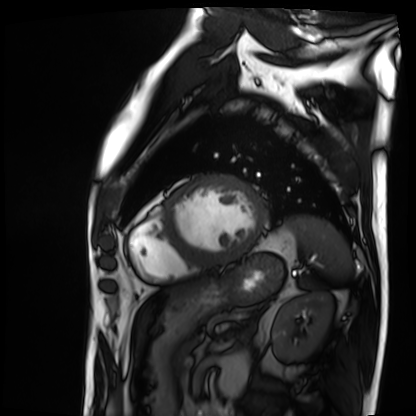
modality — cardiac MRI | subject group — patient.